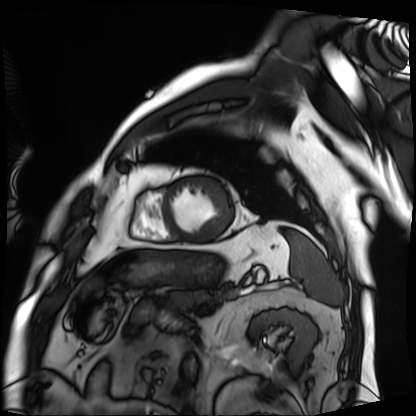
* modality · cardiac MRI
* subject group · patient